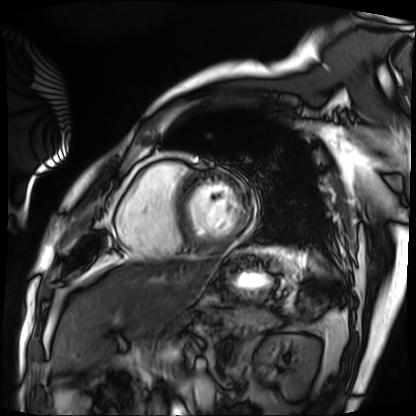
modality = cardiac MRI | subject group = patient.